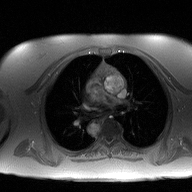
2D phase-contrast cine MRI of the ascending aorta, high-resolution GRAPPA acquisition.